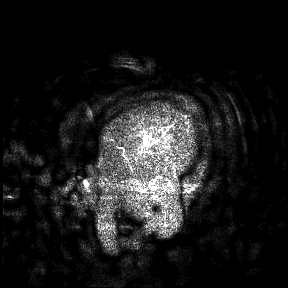
modality = 3 Tesla brain MRI
study = ring-enhancing brain masses